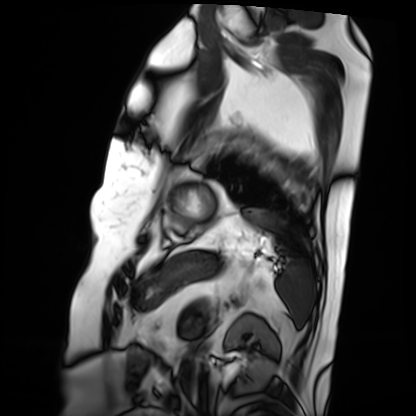
Case:
• modality: cardiac MRI
• subject group: patient